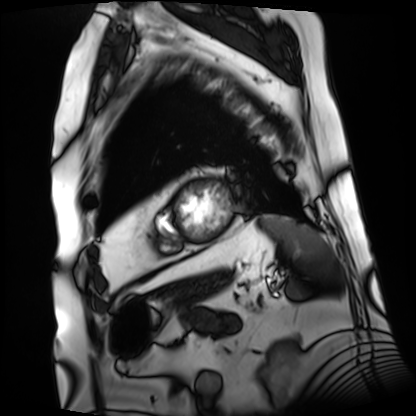
modality=cardiac MRI
subject group=patient